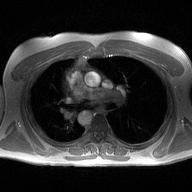
Summary: 2D phase-contrast cine MRI of the ascending aorta, high-resolution GRAPPA acquisition.